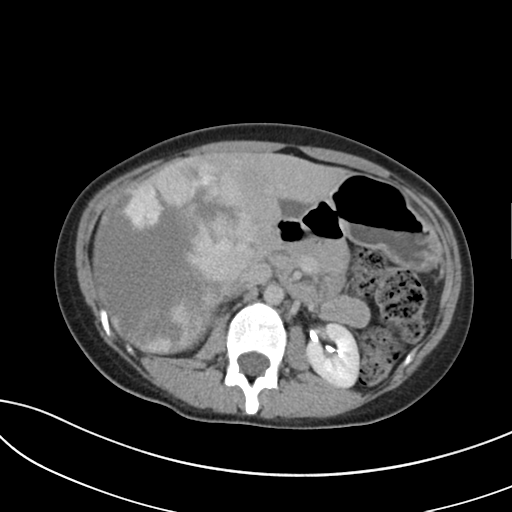
Multiphase abdominal CT, liver, delayed phase.